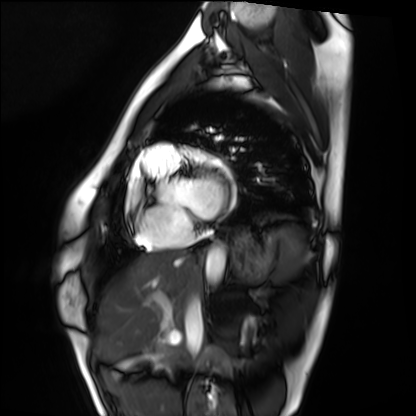
Cardiac MRI.
Subject group: healthy volunteer.